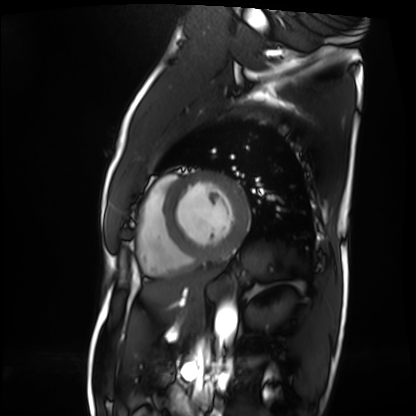
| field | value |
|---|---|
| modality | cardiac MRI |
| subject group | patient |